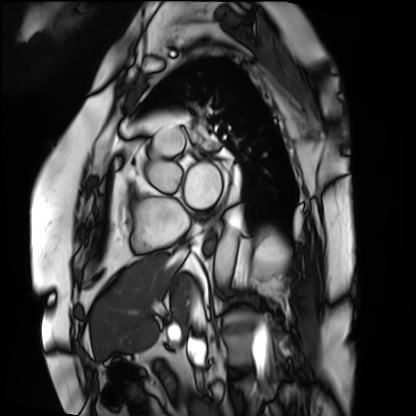
Cardiac MRI. Subject group: patient.